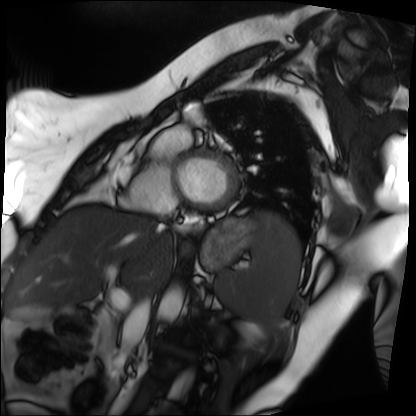
{"modality": "cardiac MRI", "cohort": "patient"}